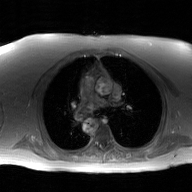
– modality · 2D phase-contrast cine MRI of the ascending aorta, GAN super-resolution reconstruction